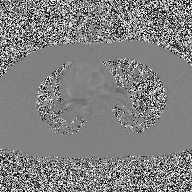
modality — 2D phase-contrast cine MRI of the ascending aorta